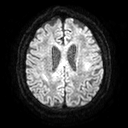
3 Tesla brain MRI.
Series: diffusion tensor imaging (medium iso).
Study: ring-enhancing brain masses.